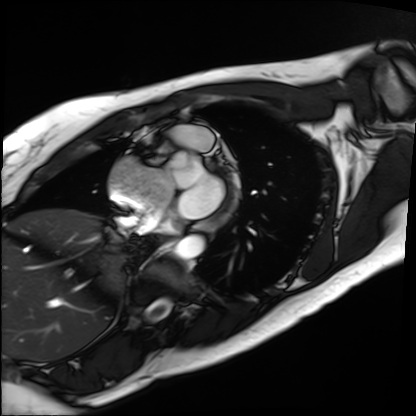
Case summary: Cardiac MRI. Subject group: patient.